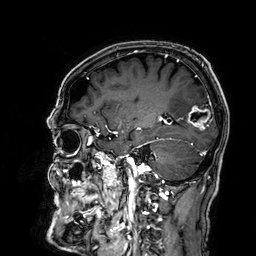
{"modality": {"type": "brain MRI", "field_strength": "3T"}, "series": "3D T1-weighted", "study_topic": "ring-enhancing brain masses"}